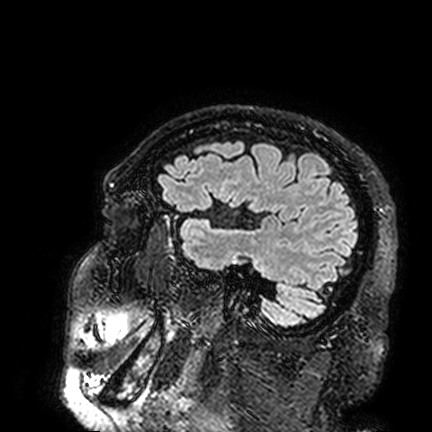
– modality — 3 Tesla brain MRI
– series — FLAIR VISTA
– study — ring-enhancing brain masses